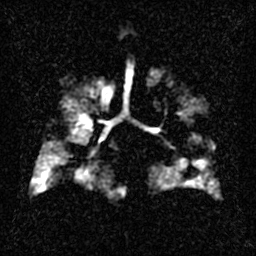
modality = hyperpolarized 129Xe ventilation MRI of the lungs; SNR level = 2 of 8 (the deposit holds this scan as its native image and as seven SNR-degraded versions).